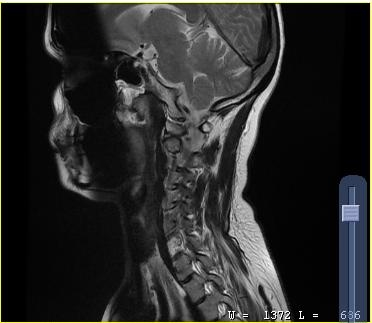
modality:
  type: cervical spine MRI
study_topic: cervical spondylosis